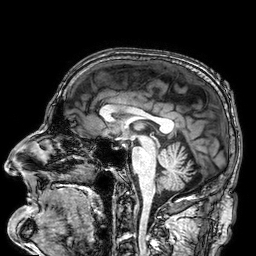
| field | value |
|---|---|
| modality | 3 Tesla brain MRI |
| series | 3D T1-weighted |
| study | ring-enhancing brain masses |